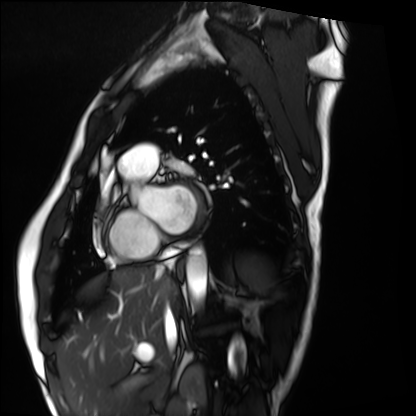
Cardiac MRI.
Subject group: healthy volunteer.